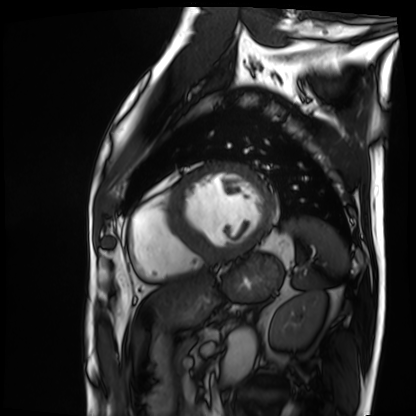
Case:
– modality — cardiac MRI
– subject group — patient